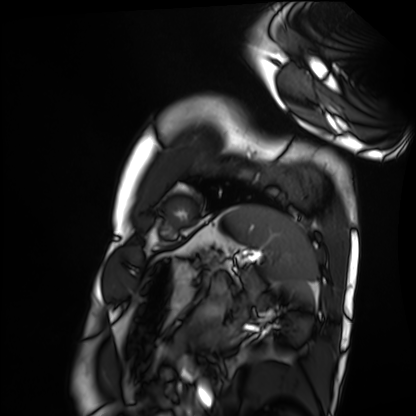
Clinical context:
Cardiac MRI. Subject group: healthy volunteer.